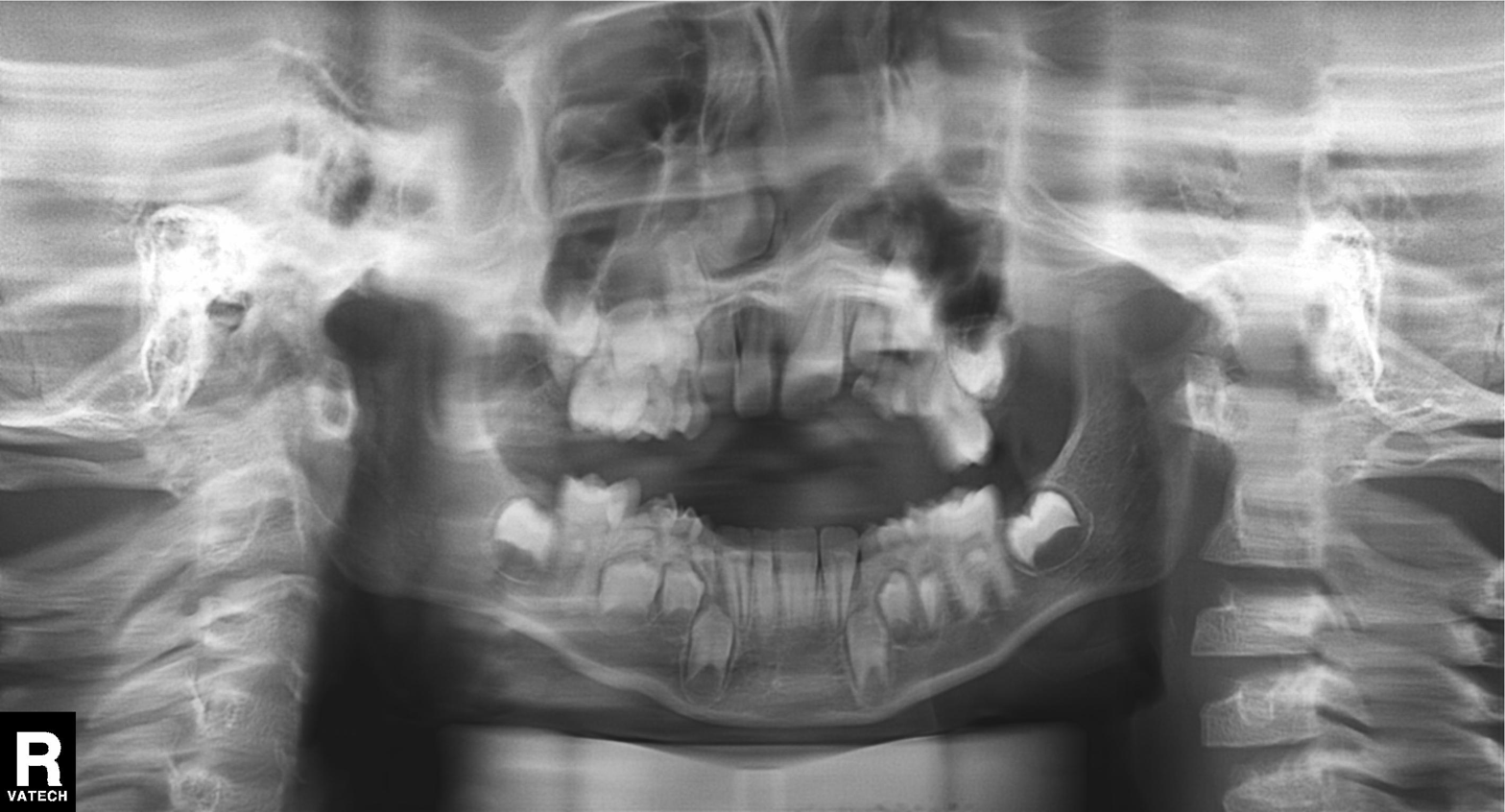
modality = panoramic dental radiograph (orthopantomogram), finding = tooth impaction.